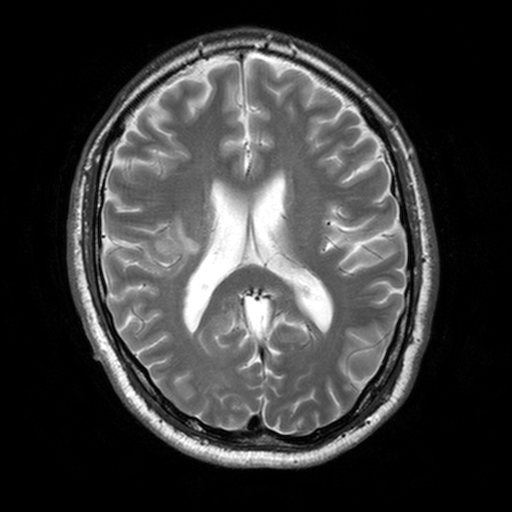
modality: 3 Tesla brain MRI; series: T2-weighted turbo spin echo, 3 mm; study: ring-enhancing brain masses.